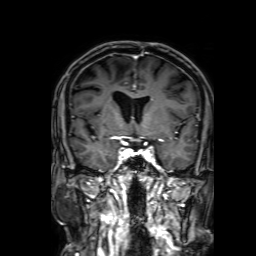
{"modality": {"type": "brain MRI", "field_strength": "3T"}, "series": "3D T1-weighted with SENSE", "study_topic": "ring-enhancing brain masses"}